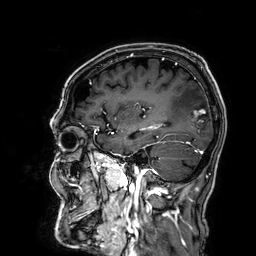
3 Tesla brain MRI.
Series: 3D T1-weighted.
Study: ring-enhancing brain masses.